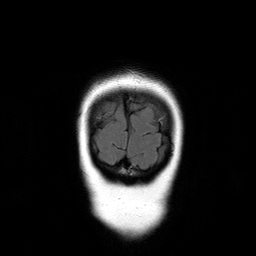
Summary:
3 Tesla brain MRI. Study: ring-enhancing brain masses.